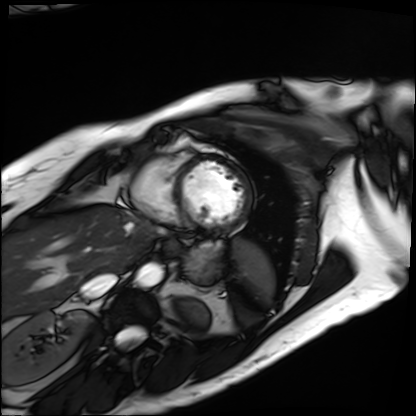
Cardiac MRI.
Subject group: patient.